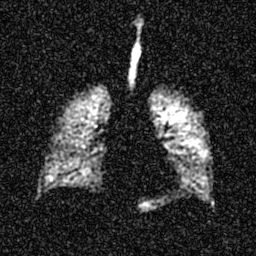
Hyperpolarized 129Xe ventilation MRI of the lungs. SNR level 5 of 8 (the deposit holds this scan as its native image and as seven SNR-degraded versions).